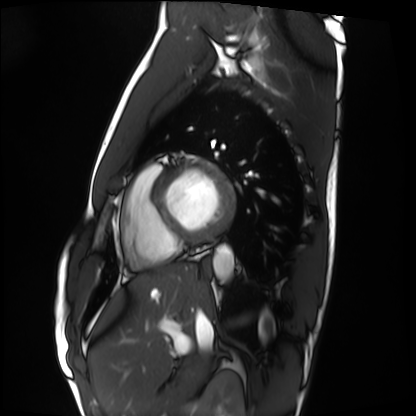
Cardiac MRI.
Subject group: healthy volunteer.